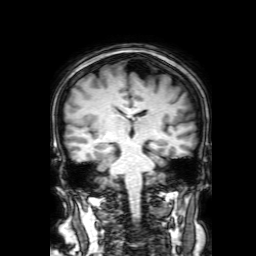
modality:
  type: brain MRI
  field_strength: 3T
series: 3D T1-weighted with SENSE
study_topic: ring-enhancing brain masses